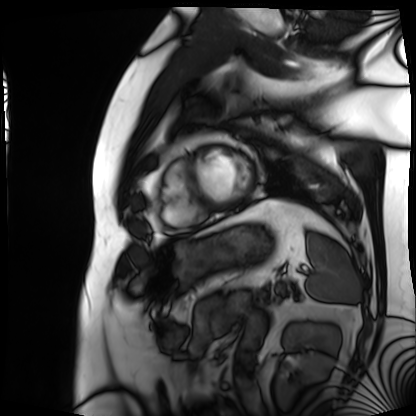
modality — cardiac MRI | subject group — patient.